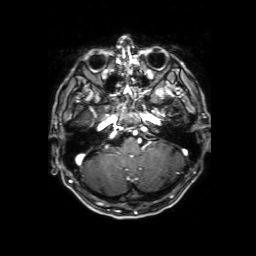
modality: 3 Tesla brain MRI; study: ring-enhancing brain masses.